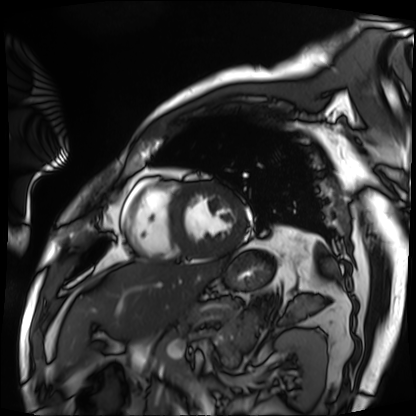
Summary:
Cardiac MRI. Subject group: patient.